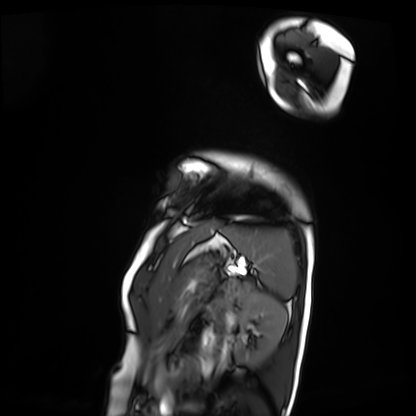
Q: What kind of scan is this?
A: Cardiac MRI.
Subject group: patient.